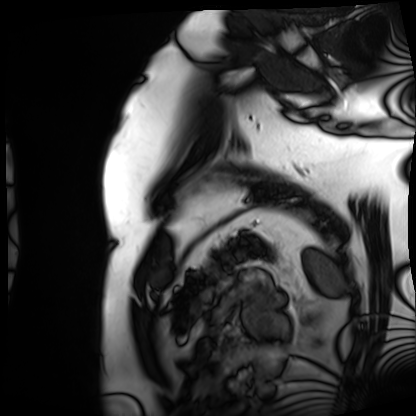
modality — cardiac MRI
subject group — patient